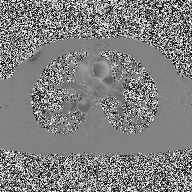
modality: 2D phase-contrast cine MRI of the ascending aorta.